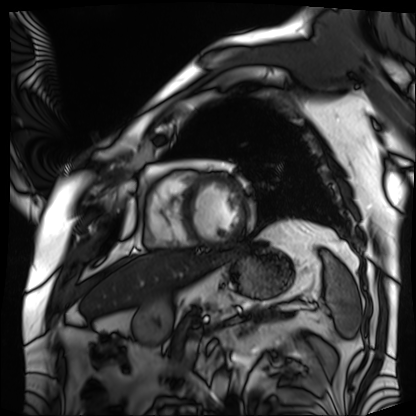
Cardiac MRI.
Subject group: patient.